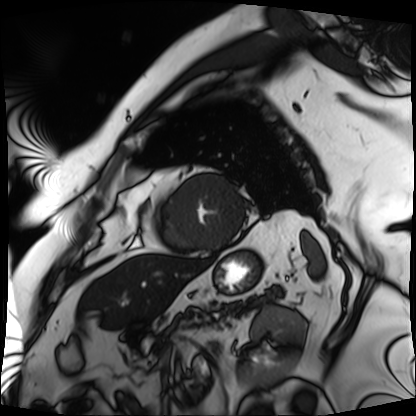
Cardiac MRI. Subject group: patient.